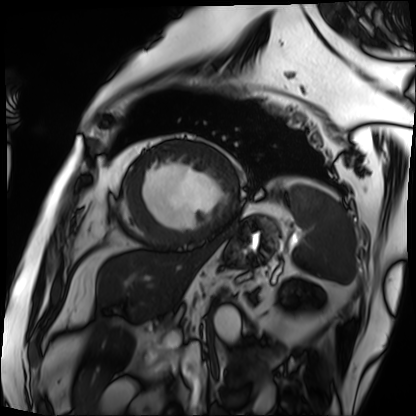
modality: cardiac MRI | subject group: patient.